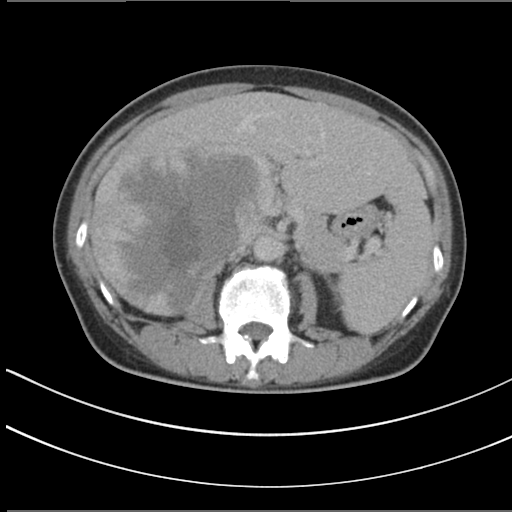
Clinical context:
Multiphase abdominal CT, liver, delayed phase. Patient: female, age 55.